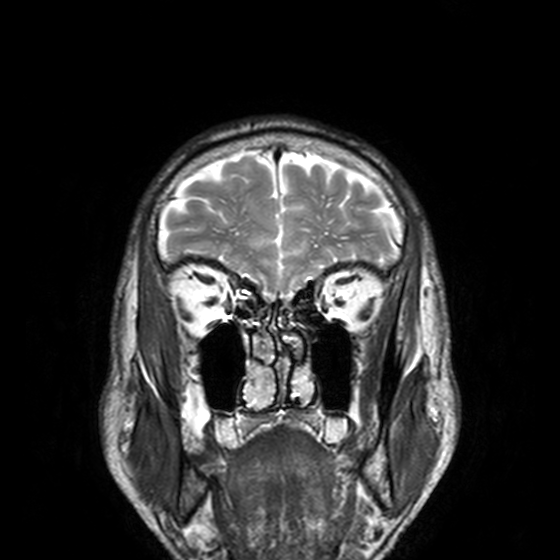
Summary:
3 Tesla brain MRI. Series: T2-weighted turbo spin echo, 3 mm. Study: ring-enhancing brain masses.